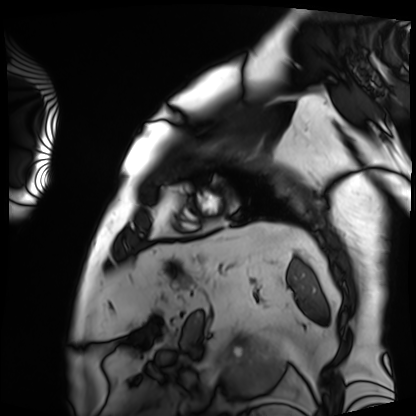
Cardiac MRI. Subject group: patient.